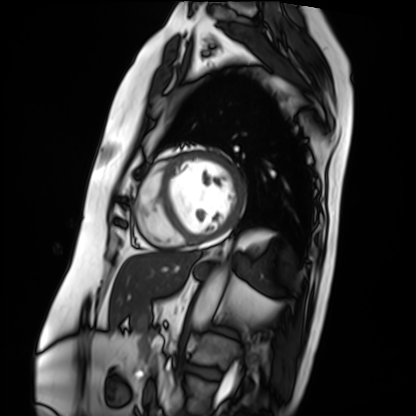
Q: What kind of scan is this?
A: Cardiac MRI.
Subject group: patient.